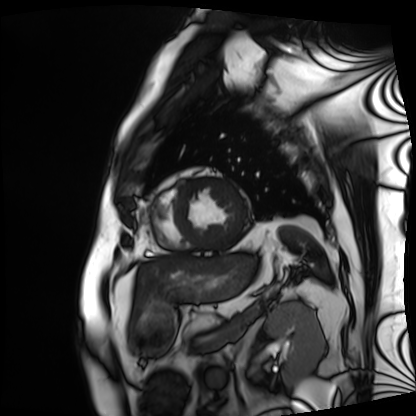
Cardiac MRI.
Subject group: patient.